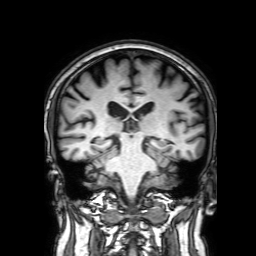
Q: What kind of scan is this?
A: 3 Tesla brain MRI.
Q: Series?
A: 3D T1-weighted with SENSE.
Study: ring-enhancing brain masses.